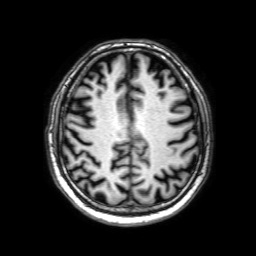
  modality:
    type: brain MRI
    field_strength: 3T
  series: 3D T1-weighted with SENSE
  study_topic: ring-enhancing brain masses